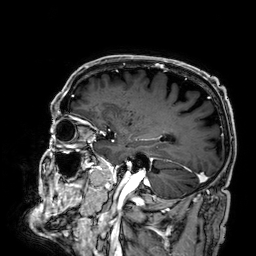
{
  "modality": {
    "type": "brain MRI",
    "field_strength": "3T"
  },
  "study_topic": "ring-enhancing brain masses"
}